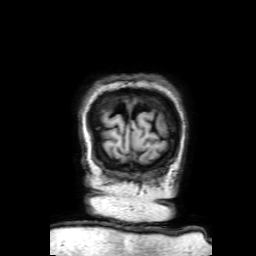
Summary:
3 Tesla brain MRI. Series: 3D T1-weighted with SENSE. Study: ring-enhancing brain masses.